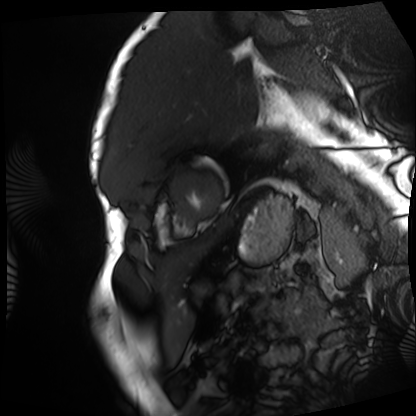
Clinical context:
Cardiac MRI. Subject group: patient.